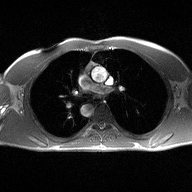
2D phase-contrast cine MRI of the ascending aorta, high-resolution GRAPPA acquisition.